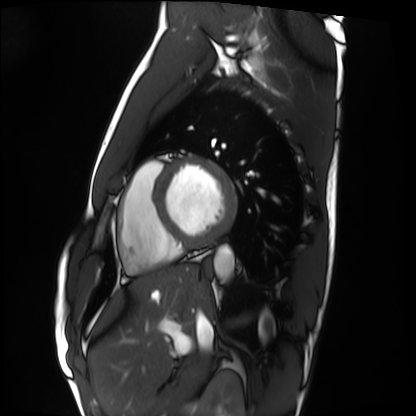
• modality · cardiac MRI
• subject group · healthy volunteer